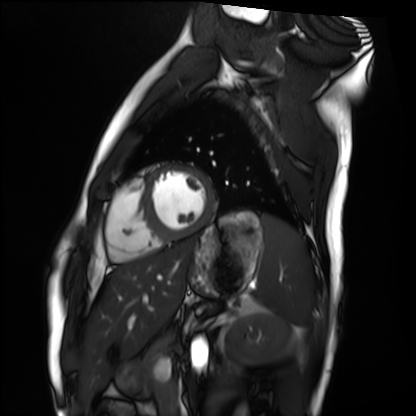
Clinical context:
Cardiac MRI. Subject group: healthy volunteer.